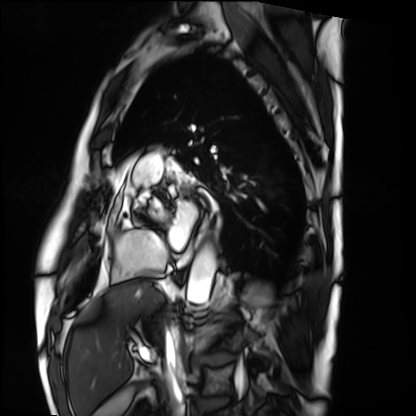
Cardiac MRI. Subject group: patient.